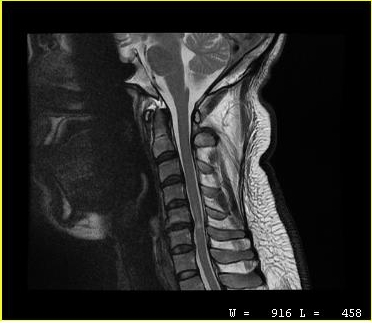
MRI of the cervical spine. Study: cervical spondylosis.